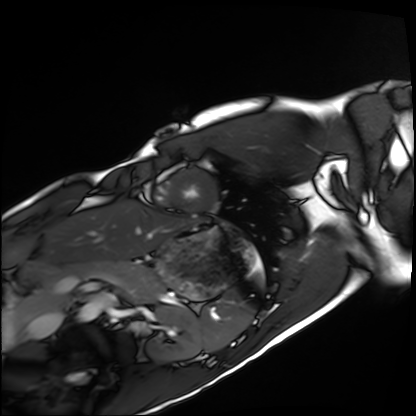
Summary: Cardiac MRI. Subject group: healthy volunteer.